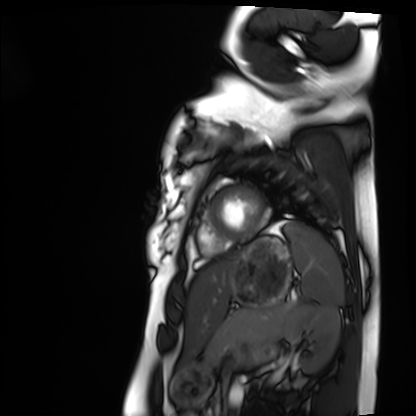
Case summary: Cardiac MRI. Subject group: healthy volunteer.